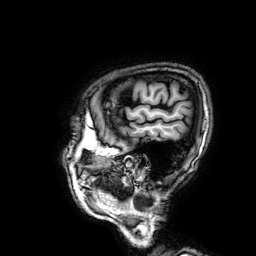
<case>
  <modality>
    <type>brain MRI</type>
    <field_strength>3T</field_strength>
  </modality>
  <study_topic>ring-enhancing brain masses</study_topic>
</case>